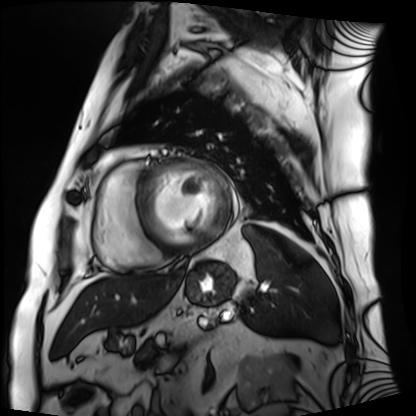
Cardiac MRI.
Subject group: patient.